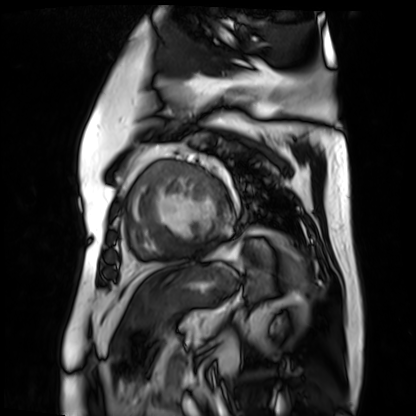
modality = cardiac MR image of the myocardium; subject cohort = cardiac patient.